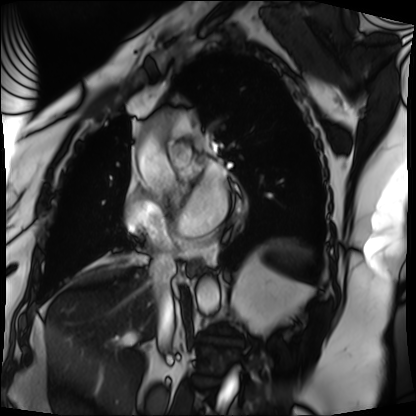
Case summary: Cardiac MRI. Subject group: patient.